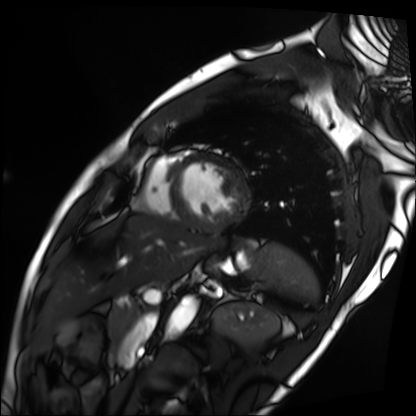
{"modality": "cardiac MRI", "cohort": "patient"}